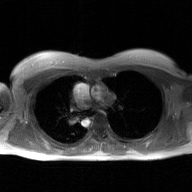
Q: What kind of scan is this?
A: 2D phase-contrast cine MRI of the ascending aorta, GAN super-resolution reconstruction.